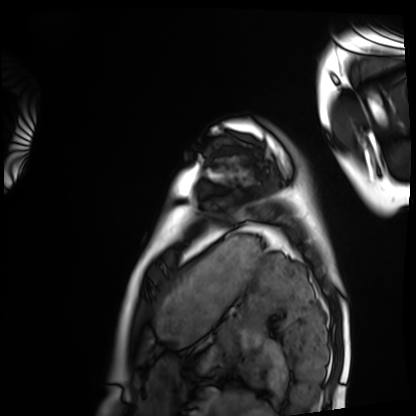
Cardiac MRI.
Subject group: healthy volunteer.